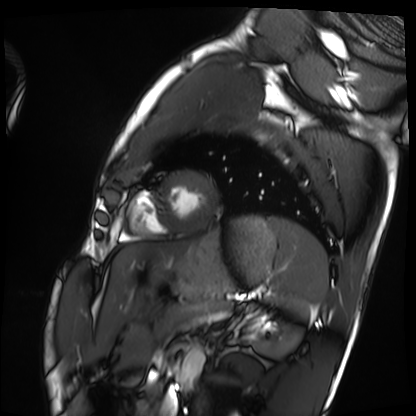
{
  "modality": "cardiac MRI",
  "cohort": "healthy volunteer"
}